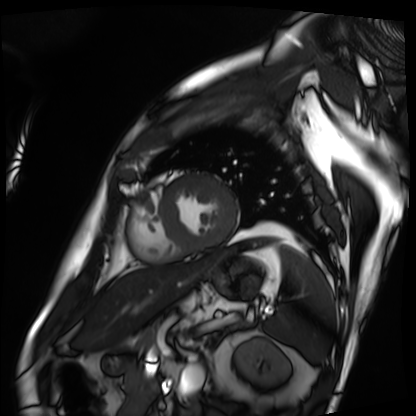
Cardiac MRI. Subject group: patient.